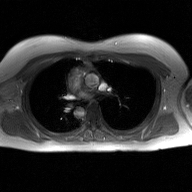
Q: What kind of scan is this?
A: 2D phase-contrast cine MRI of the ascending aorta, GAN super-resolution reconstruction.